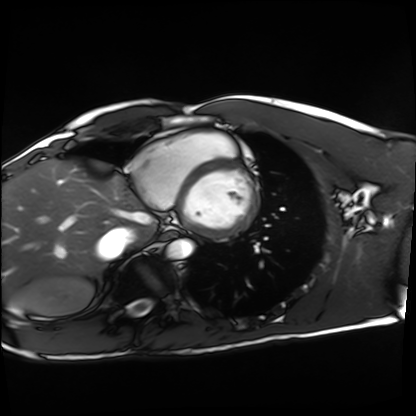
Summary:
Cardiac MRI. Subject group: healthy volunteer.